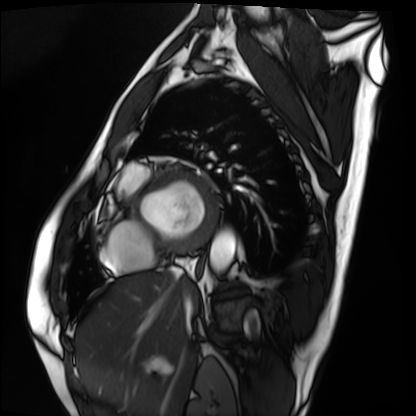
<record>
  <modality>cardiac MRI</modality>
  <cohort>patient</cohort>
</record>